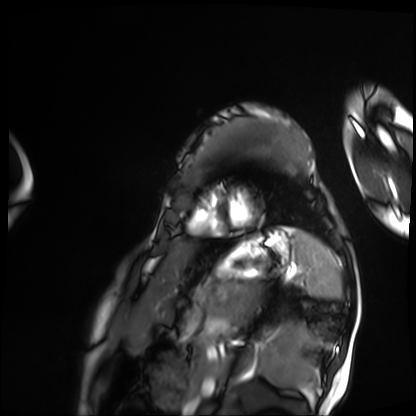
Case:
• modality · cardiac MRI
• subject group · patient